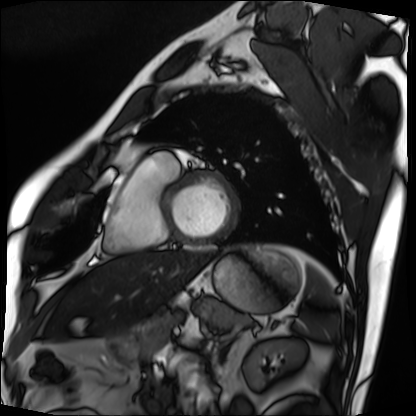
Cardiac MRI. Subject group: patient.